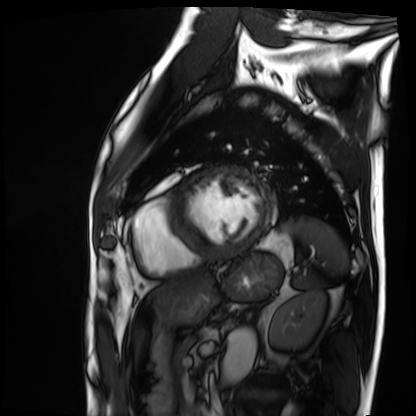
Cardiac MRI.
Subject group: patient.